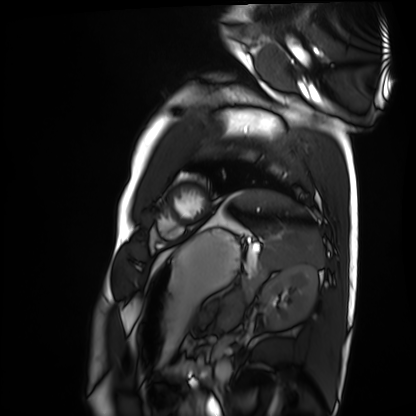
Cardiac MRI.
Subject group: healthy volunteer.